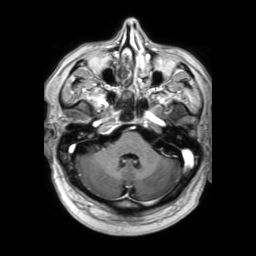
modality: 3 Tesla brain MRI
series: 3D T1-weighted TFE with SENSE
study: ring-enhancing brain masses